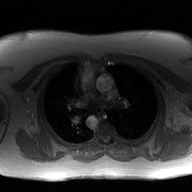
2D phase-contrast cine MRI of the ascending aorta, GAN super-resolution reconstruction.